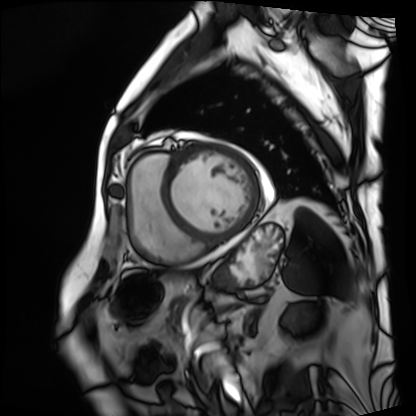
modality — cardiac MRI; subject group — patient.